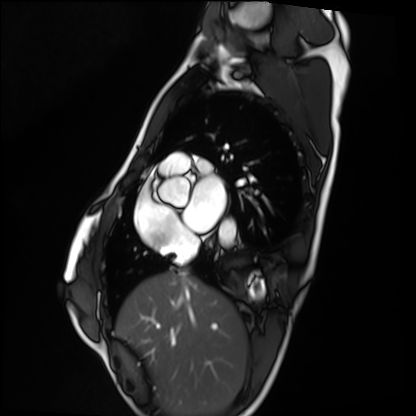
<case>
<modality>cardiac MRI</modality>
<cohort>healthy volunteer</cohort>
</case>